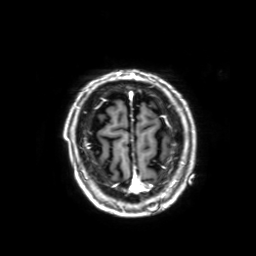
3 Tesla brain MRI. Series: 3D T1-weighted with SENSE. Study: ring-enhancing brain masses.